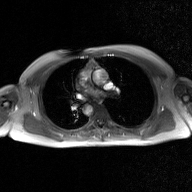
modality: 2D phase-contrast cine MRI of the ascending aorta, GAN super-resolution reconstruction.